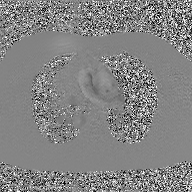
Case summary:
2D phase-contrast cine MRI of the ascending aorta, GAN super-resolution reconstruction.